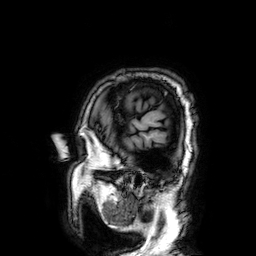
Q: What kind of scan is this?
A: 3 Tesla brain MRI.
Q: Series?
A: 3D T1-weighted.
Study: ring-enhancing brain masses.